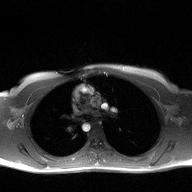
Clinical context: 2D phase-contrast cine MRI of the ascending aorta, high-resolution GRAPPA acquisition.